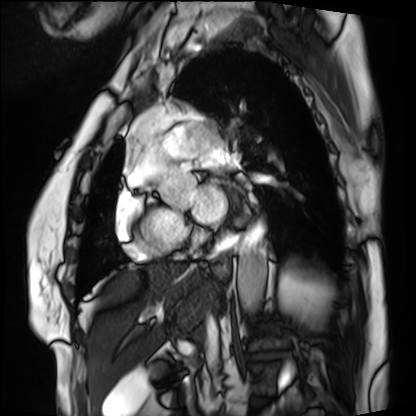
Clinical context:
Cardiac MRI. Subject group: patient.